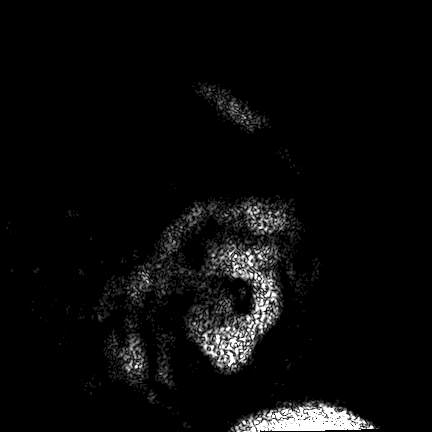
3 Tesla brain MRI. Series: FLAIR VISTA. Study: ring-enhancing brain masses.